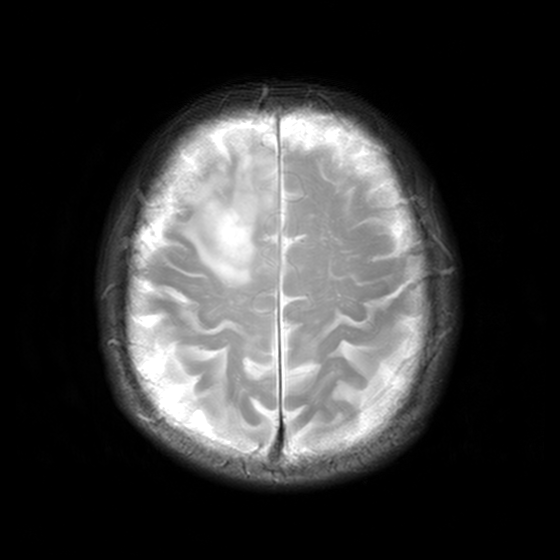
3 Tesla brain MRI. Series: MR spectroscopy. Study: ring-enhancing brain masses.